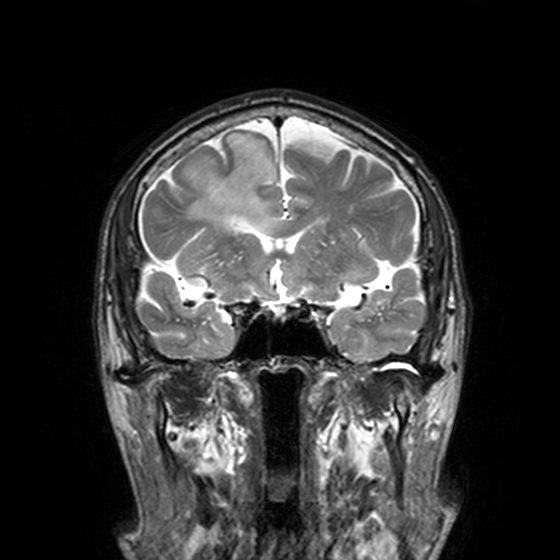
Q: What kind of scan is this?
A: 3 Tesla brain MRI.
Q: Series?
A: T2-weighted turbo spin echo, 3 mm.
Study: ring-enhancing brain masses.